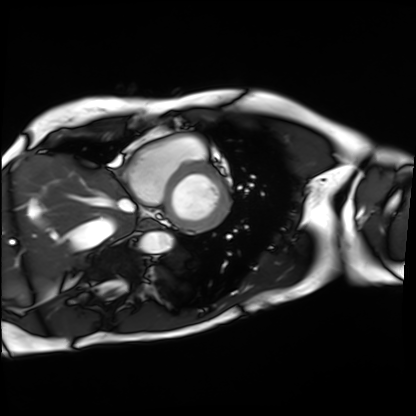
Cardiac MRI. Subject group: patient.